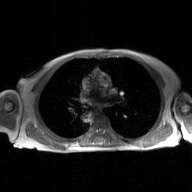
modality: 2D phase-contrast cine MRI of the ascending aorta, GAN super-resolution reconstruction